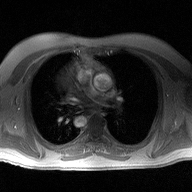
{
  "modality": {
    "type": "2D phase-contrast cine MRI",
    "region": "ascending aorta",
    "reconstruction": "high-resolution GRAPPA acquisition"
  }
}